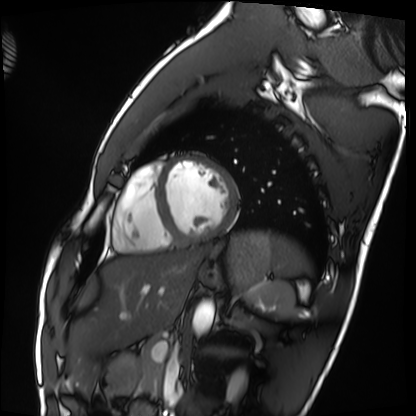
Cardiac MRI. Subject group: healthy volunteer.